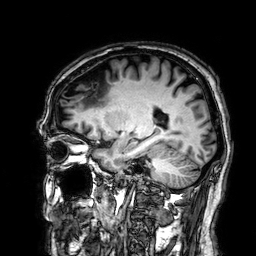
Case:
– modality · 3 Tesla brain MRI
– series · 3D T1-weighted
– study · ring-enhancing brain masses